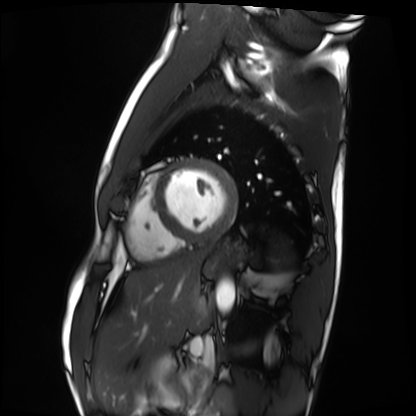
– modality: cardiac MRI
– subject group: healthy volunteer